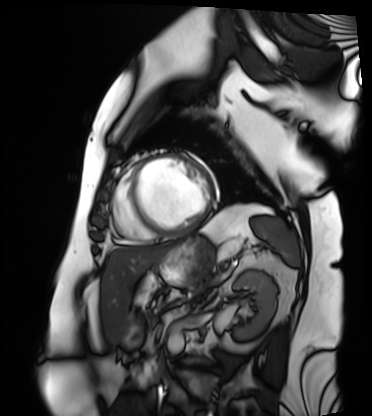
* modality — cardiac MRI
* subject group — patient